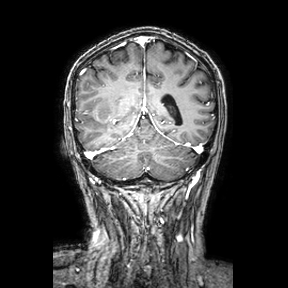
Clinical context: 3 Tesla brain MRI. Series: coronal. Study: ring-enhancing brain masses.